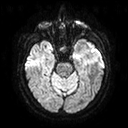
– modality: 3 Tesla brain MRI
– series: diffusion tensor imaging (medium iso)
– study: ring-enhancing brain masses